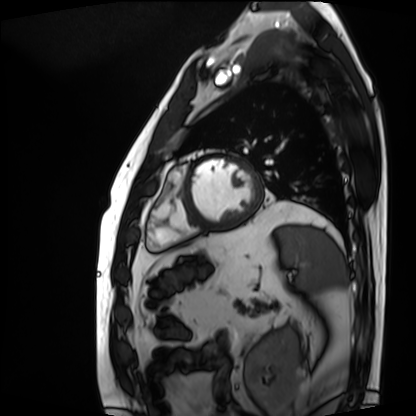
Case:
* modality — cardiac MRI
* subject group — patient